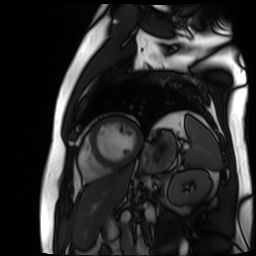
Summary:
Cardiac MR image of the myocardium. Subject cohort: cardiac patient.